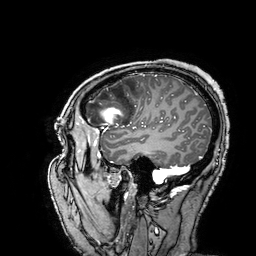
Q: What kind of scan is this?
A: 3 Tesla brain MRI.
Study: ring-enhancing brain masses.